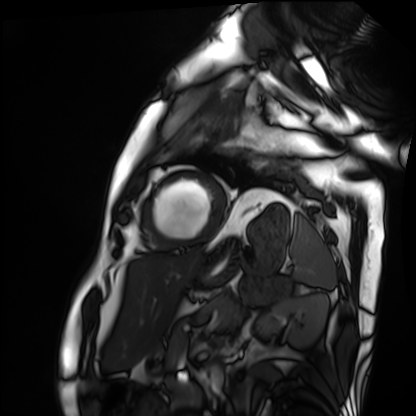
{"modality": "cardiac MRI", "cohort": "patient"}